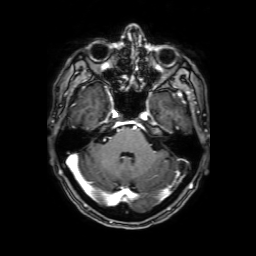
Case:
– modality: 3 Tesla brain MRI
– series: 3D T1-weighted with SENSE
– study: ring-enhancing brain masses